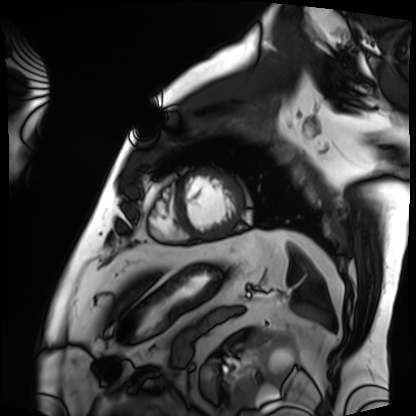
Summary: Cardiac MRI. Subject group: patient.